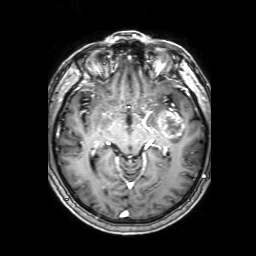
modality=3 Tesla brain MRI | series=3D T1-weighted with SENSE | study=ring-enhancing brain masses.